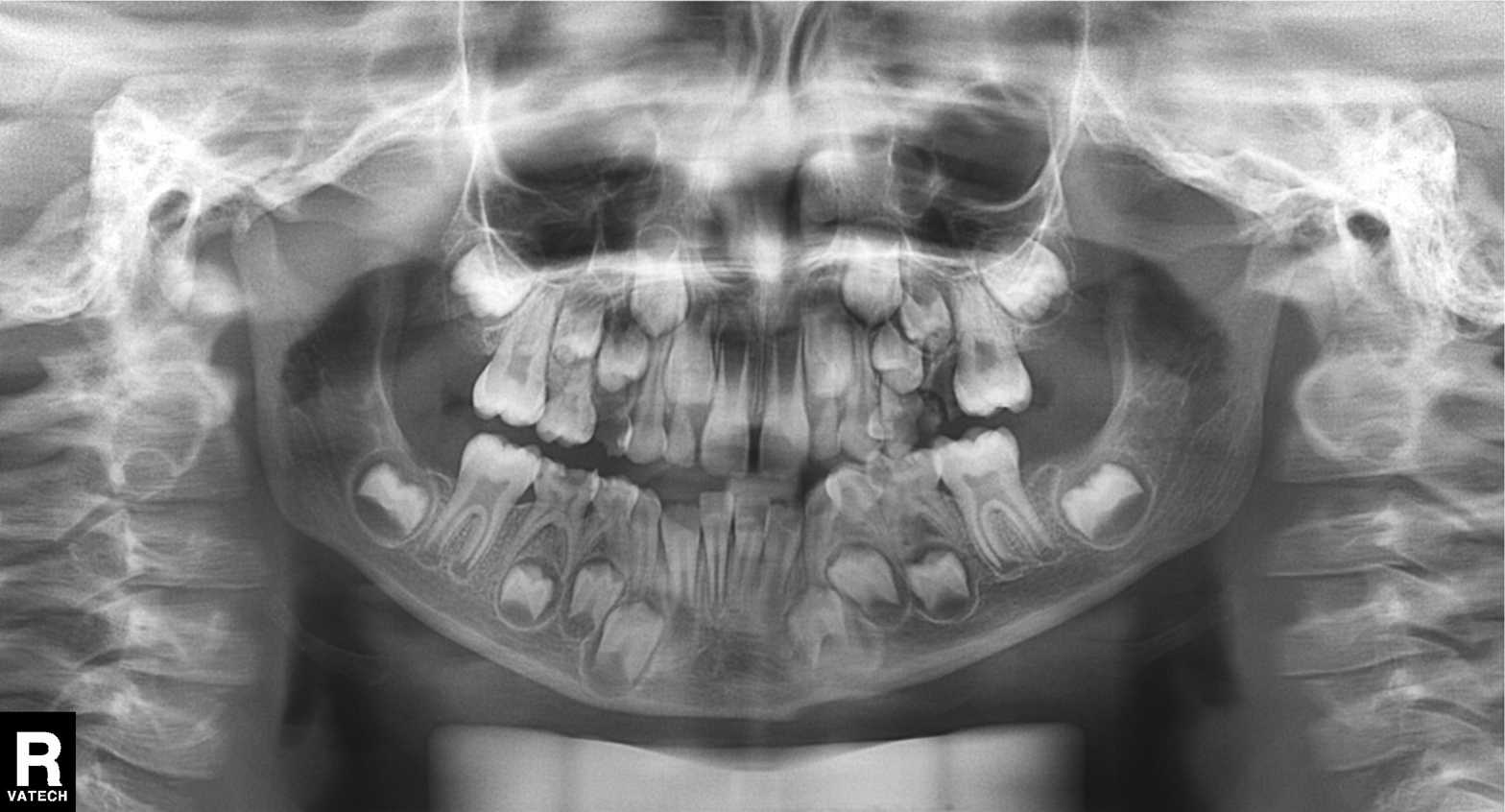
Findings:
* modality: panoramic dental radiograph (orthopantomogram)
* finding: alveolar bone loss